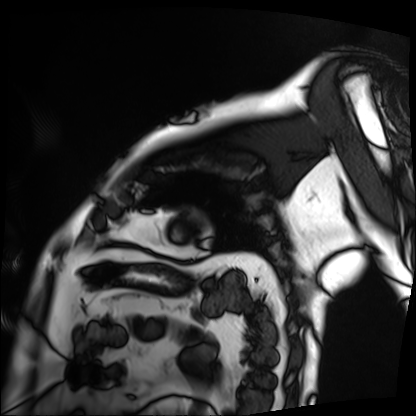
| field | value |
|---|---|
| modality | cardiac MRI |
| subject group | patient |